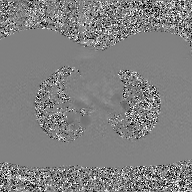
Summary: 2D phase-contrast cine MRI of the ascending aorta, GAN super-resolution reconstruction.